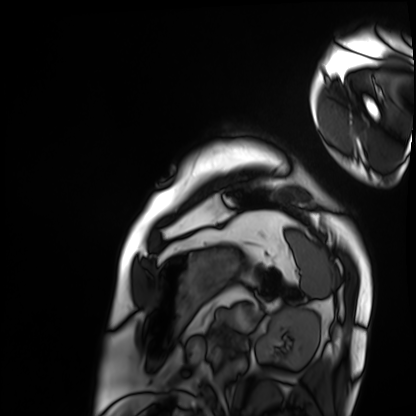
Cardiac MRI.
Subject group: patient.